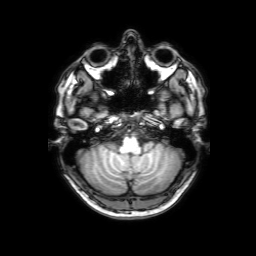
modality = 3 Tesla brain MRI
series = 3D T1-weighted with SENSE
study = ring-enhancing brain masses